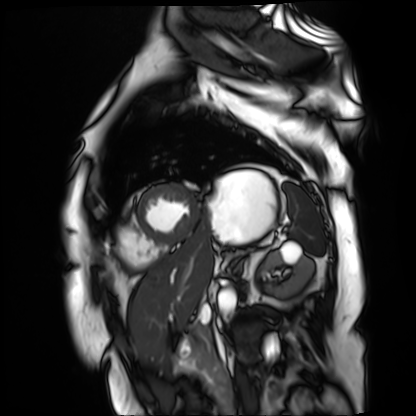
Summary:
Cardiac MR image of the myocardium. Subject cohort: cardiac patient.